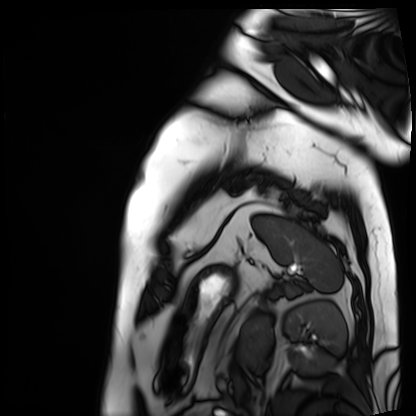
Cardiac MRI. Subject group: patient.